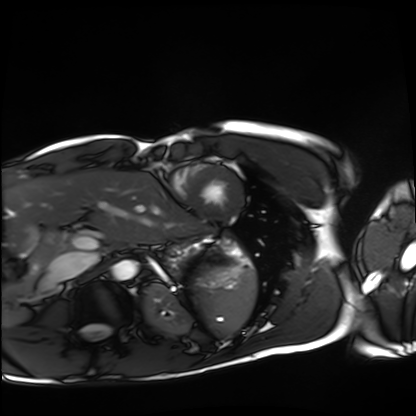
Cardiac MRI. Subject group: healthy volunteer.